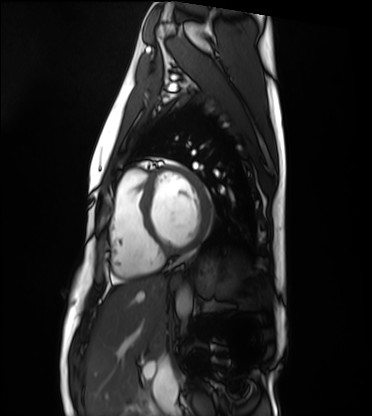
Q: What kind of scan is this?
A: Cardiac MRI.
Subject group: healthy volunteer.